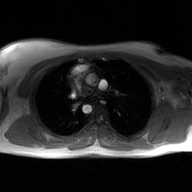
2D phase-contrast cine MRI of the ascending aorta, GAN super-resolution reconstruction.